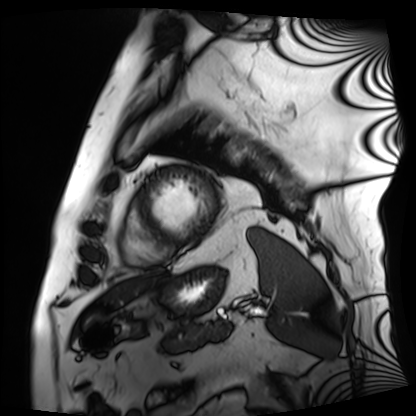
Cardiac MRI.
Subject group: patient.